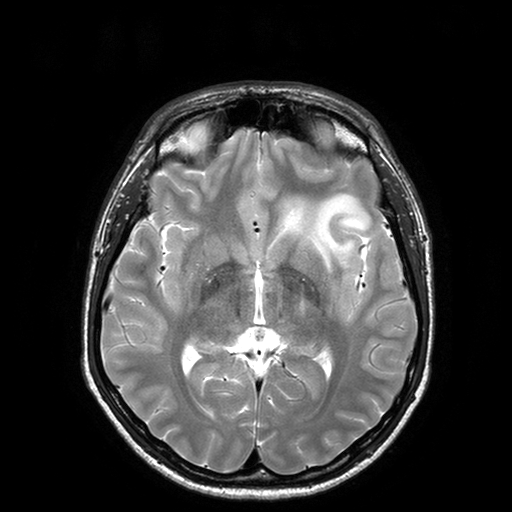
– modality: 3 Tesla brain MRI
– series: T2-weighted turbo spin echo with SENSE
– study: ring-enhancing brain masses